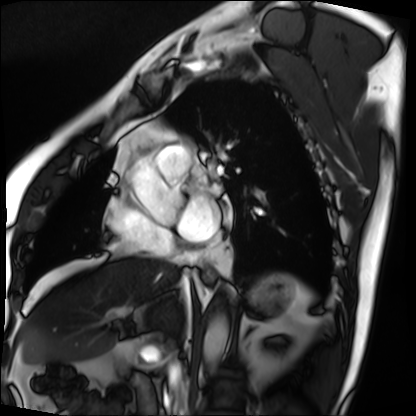
Summary:
Cardiac MRI. Subject group: patient.